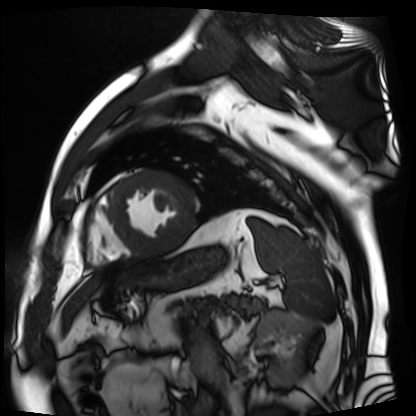
Summary: Cardiac MR image of the myocardium. Subject cohort: cardiac patient.